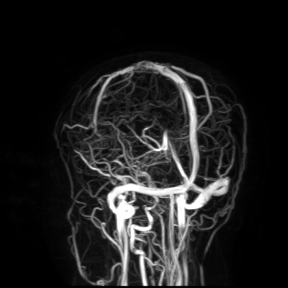
modality: 3 Tesla brain MRI
study: ring-enhancing brain masses